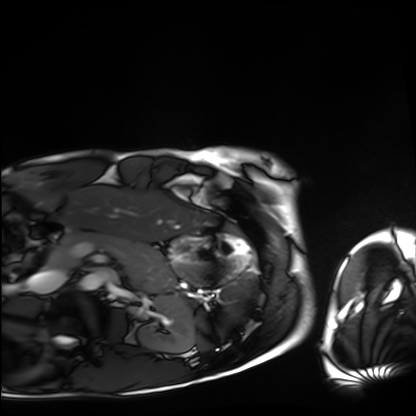
• modality · cardiac MRI
• subject group · healthy volunteer